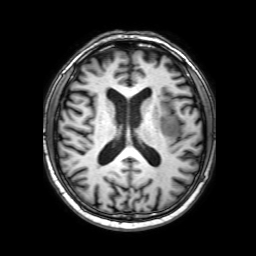
<record>
<modality>
  <type>brain MRI</type>
  <field_strength>3T</field_strength>
</modality>
<series>3D T1-weighted with SENSE</series>
<study_topic>ring-enhancing brain masses</study_topic>
</record>